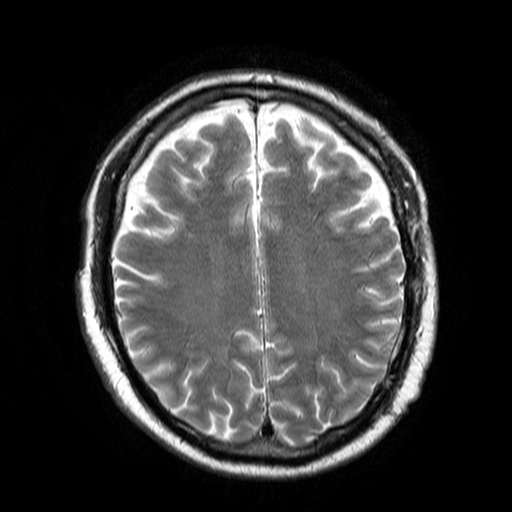
• modality — 3 Tesla brain MRI
• series — T2-weighted turbo spin echo
• study — ring-enhancing brain masses